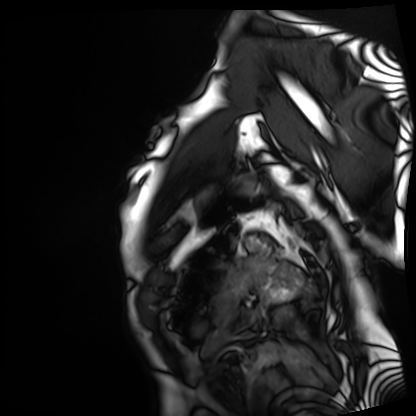
Cardiac MRI. Subject group: patient.